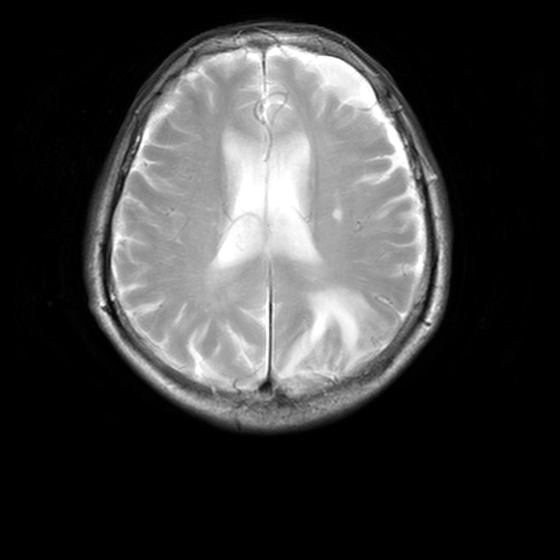
3 Tesla brain MRI.
Series: MR spectroscopy.
Study: ring-enhancing brain masses.